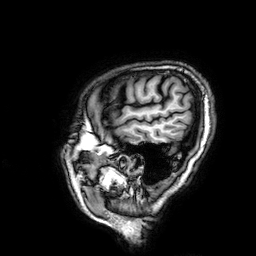
modality = 3 Tesla brain MRI
series = 3D T1-weighted
study = ring-enhancing brain masses